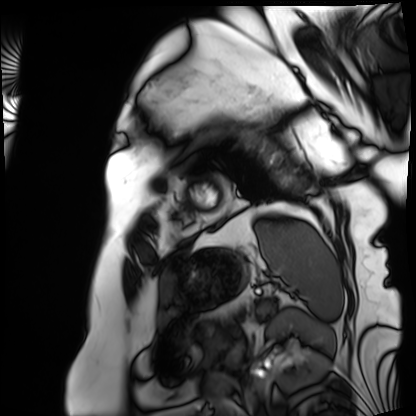
Cardiac MRI. Subject group: patient.